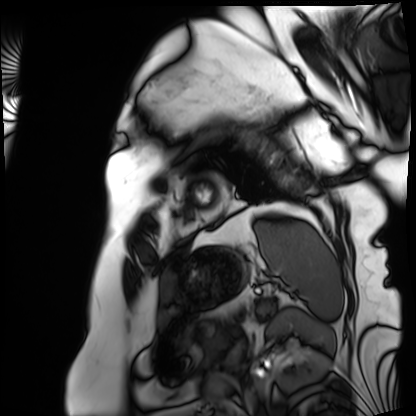
Q: What kind of scan is this?
A: Cardiac MRI.
Subject group: patient.